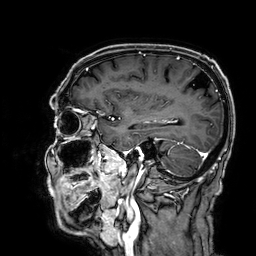
3 Tesla brain MRI. Study: ring-enhancing brain masses.